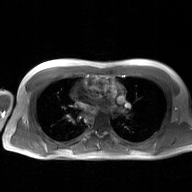
2D phase-contrast cine MRI of the ascending aorta, GAN super-resolution reconstruction.